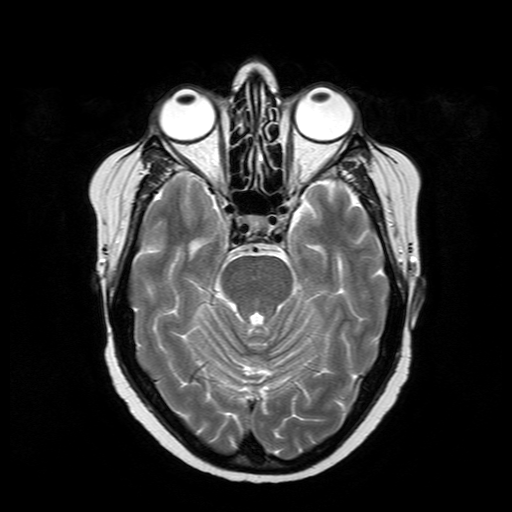
modality: 3 Tesla brain MRI
series: T2-weighted turbo spin echo
study: ring-enhancing brain masses